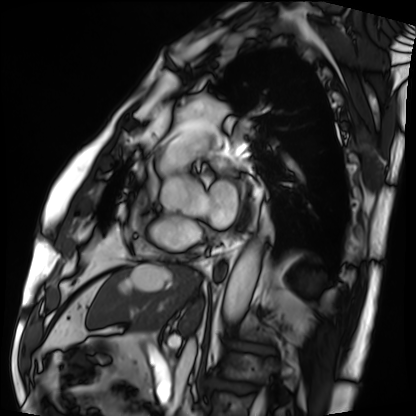
Cardiac MRI. Subject group: patient.